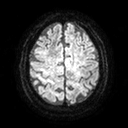
3 Tesla brain MRI.
Study: ring-enhancing brain masses.